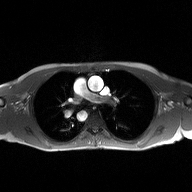
<study>
  <modality>
    <type>2D phase-contrast cine MRI</type>
    <region>ascending aorta</region>
    <reconstruction>high-resolution GRAPPA acquisition</reconstruction>
  </modality>
</study>